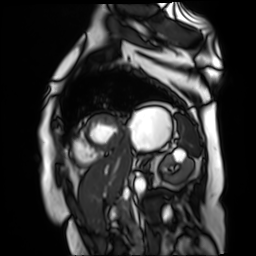
Summary: Cardiac MR image of the myocardium. Subject cohort: cardiac patient.